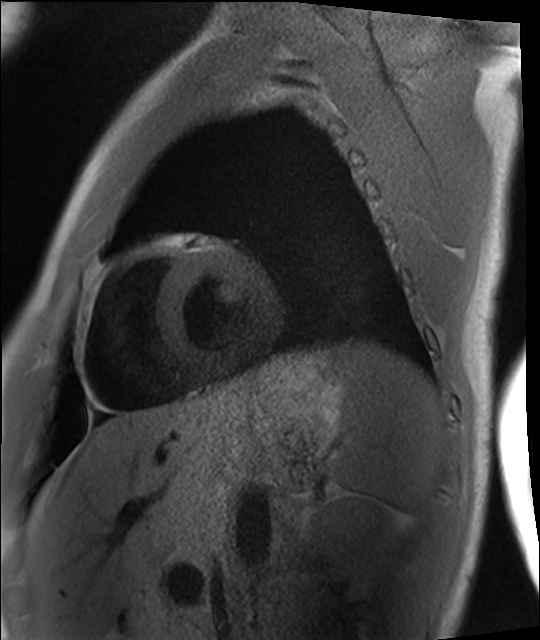
Cardiac MRI.
Subject group: healthy volunteer.